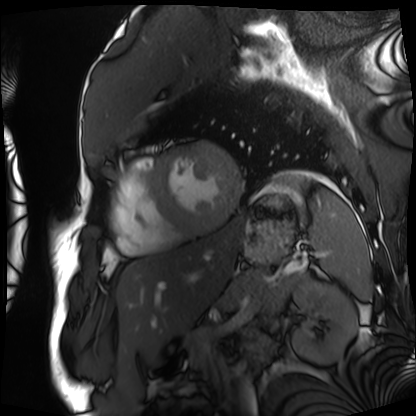
modality — cardiac MRI | subject group — patient.